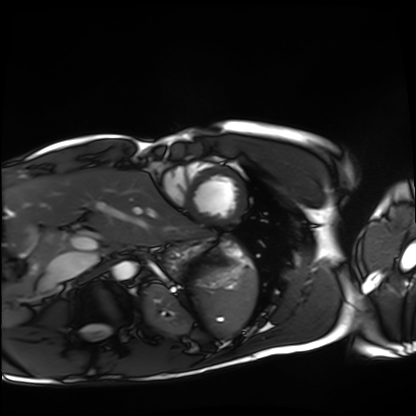
Cardiac MRI. Subject group: healthy volunteer.